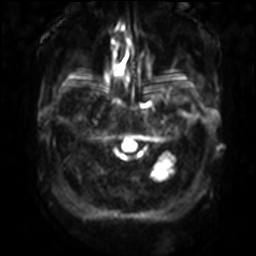
Summary:
3 Tesla brain MRI. Series: diffusion-weighted imaging with SENSE (WIP). Study: ring-enhancing brain masses.